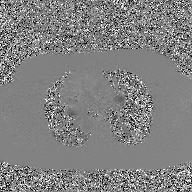
Case summary:
2D phase-contrast cine MRI of the ascending aorta, GAN super-resolution reconstruction.